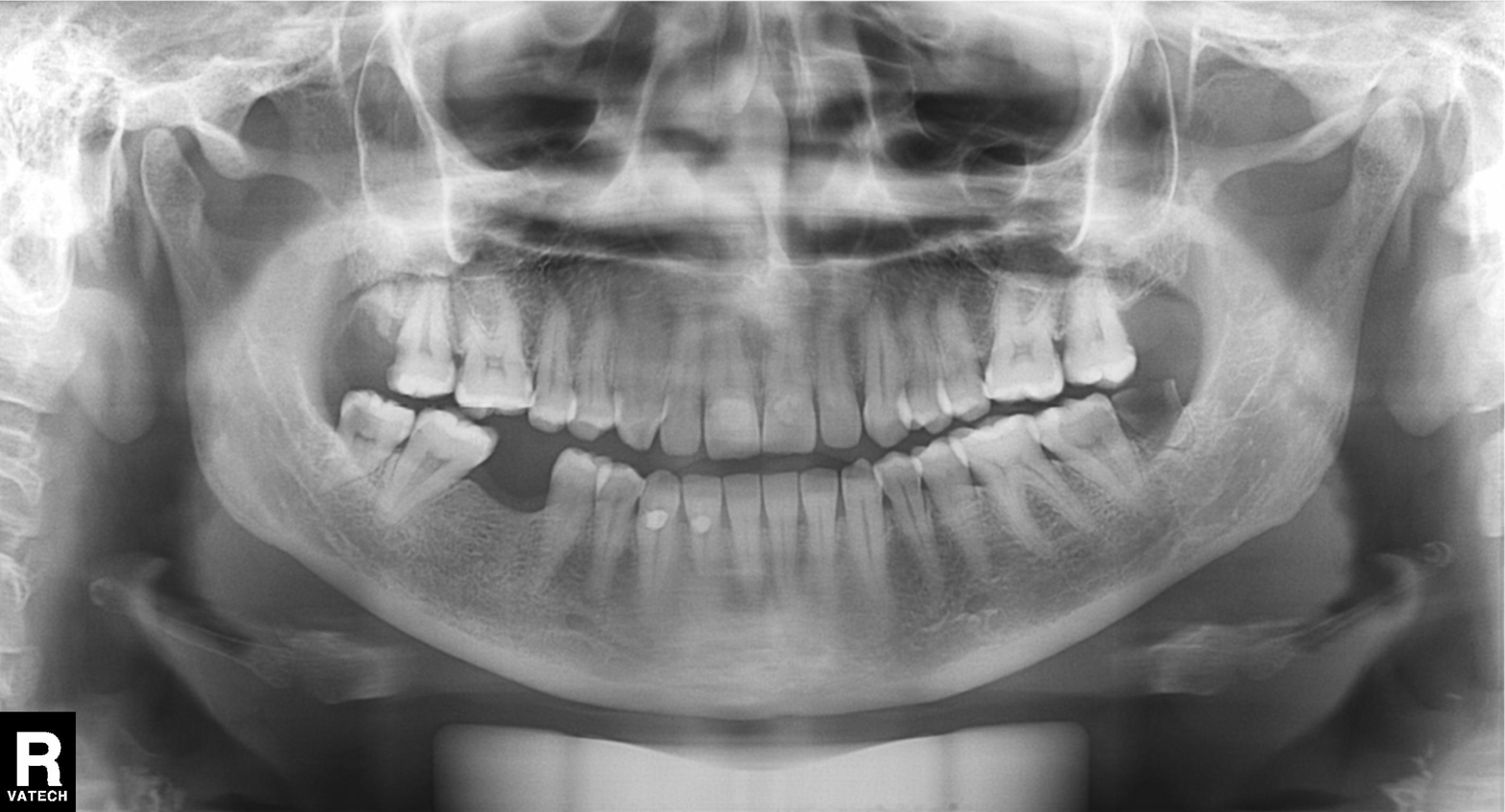
<scan>
<modality>panoramic dental radiograph (orthopantomogram)</modality>
<finding>alveolar bone loss</finding>
</scan>